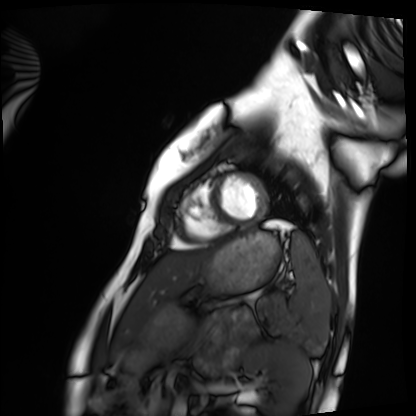
| field | value |
|---|---|
| modality | cardiac MRI |
| subject group | healthy volunteer |